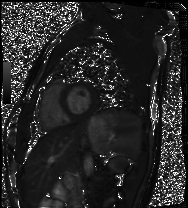
Q: What kind of scan is this?
A: Cardiac MRI.
Subject group: healthy volunteer.